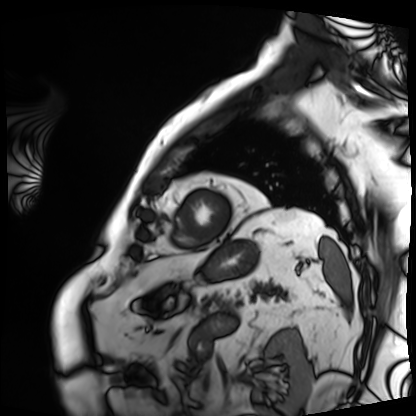
Cardiac MRI. Subject group: patient.